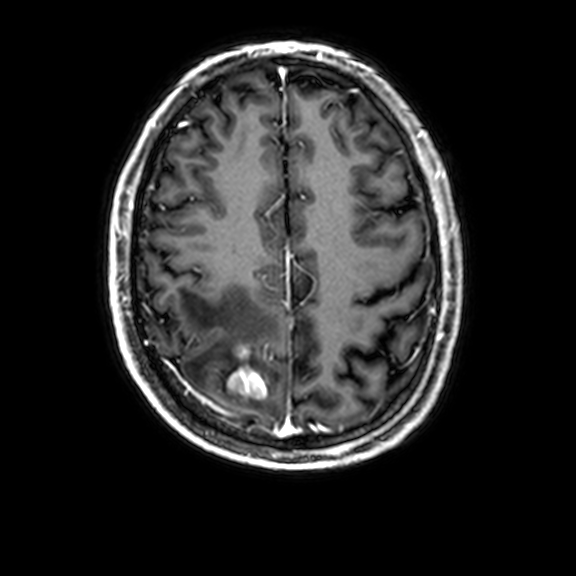
  modality:
    type: brain MRI
    field_strength: 3T
  series: 3D T1-weighted with CLEAR
  study_topic: ring-enhancing brain masses